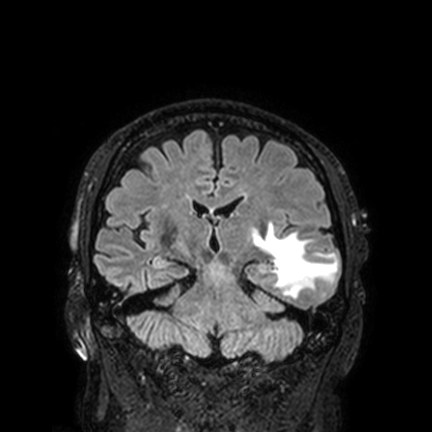
Clinical context: 3 Tesla brain MRI. Series: FLAIR VISTA with SENSE. Study: ring-enhancing brain masses.